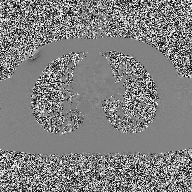
<case>
<modality>
  <type>2D phase-contrast cine MRI</type>
  <region>ascending aorta</region>
  <reconstruction>high-resolution GRAPPA acquisition</reconstruction>
</modality>
</case>